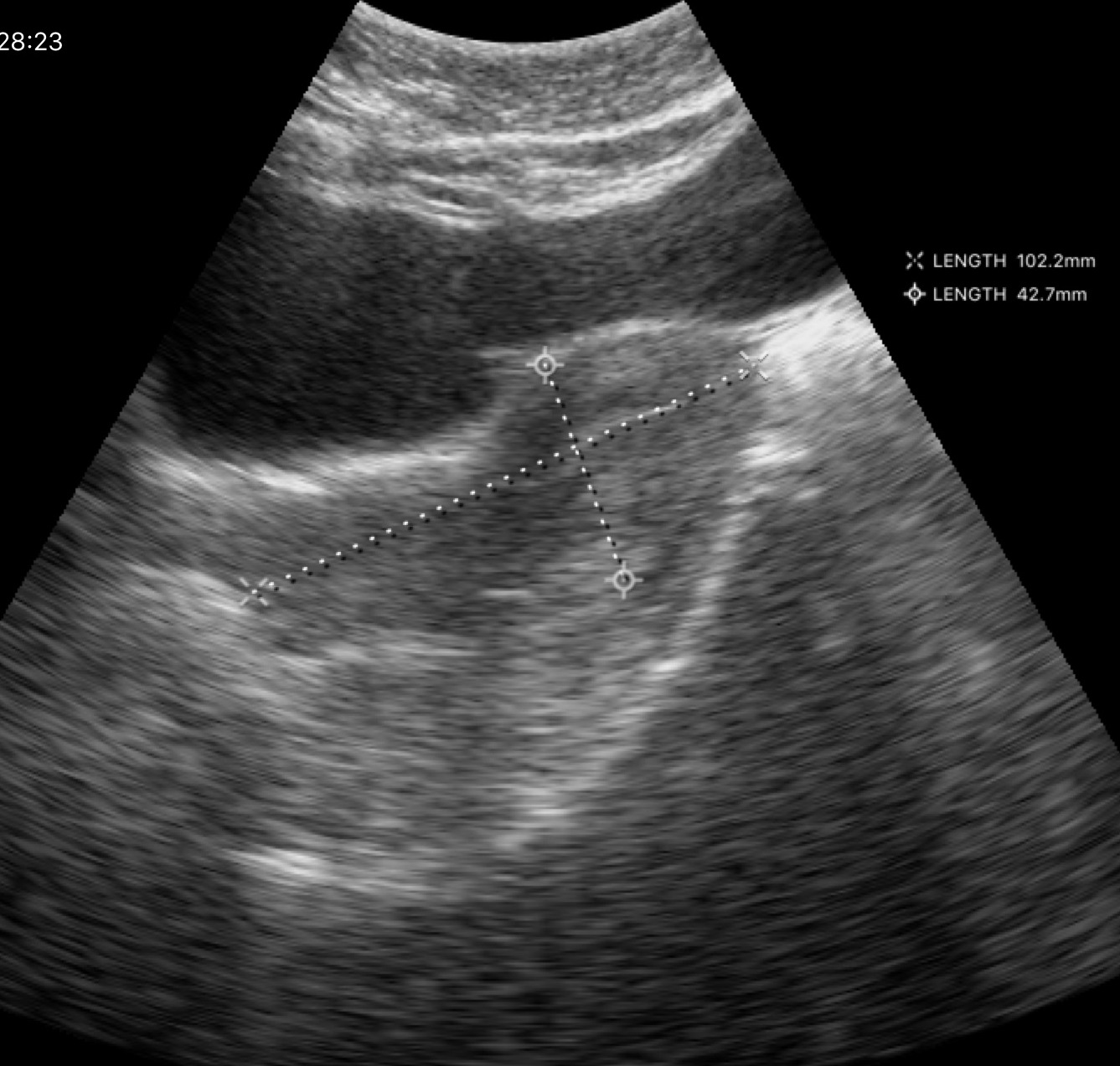
<study>
  <modality>
    <type>genitourinary ultrasound</type>
  </modality>
</study>